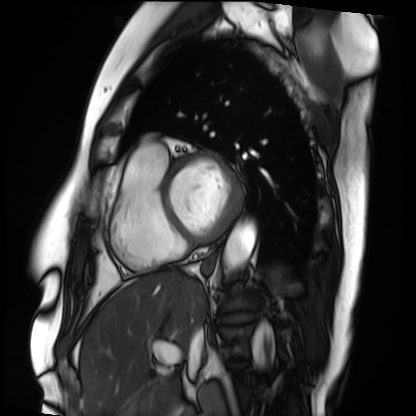
Cardiac MRI. Subject group: patient.